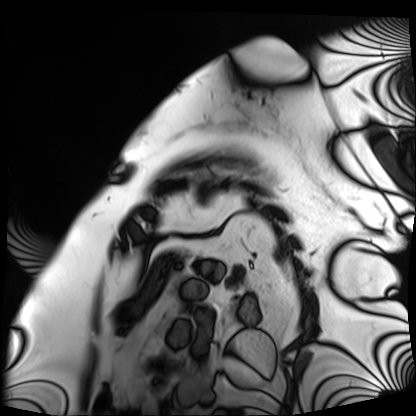
Case summary:
Cardiac MRI. Subject group: patient.